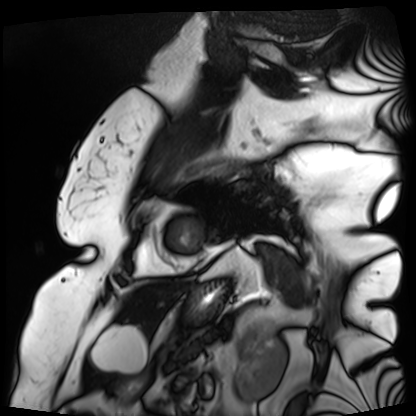
- modality: cardiac MRI
- subject group: patient